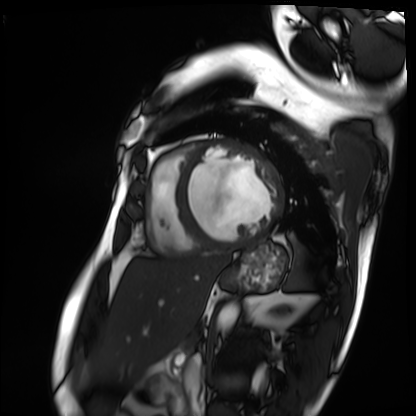
modality = cardiac MRI | subject group = patient.